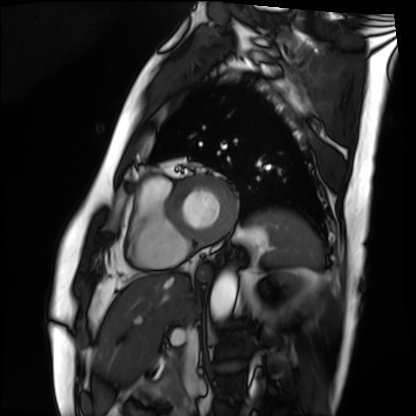
modality: cardiac MRI | subject group: patient.